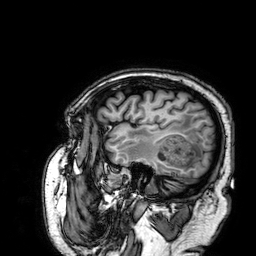
3 Tesla brain MRI.
Series: 3D T1-weighted.
Study: ring-enhancing brain masses.